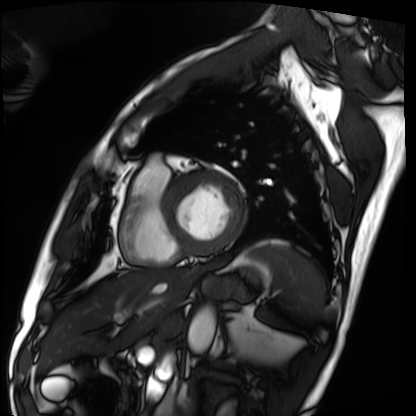
modality: cardiac MRI | subject group: patient.